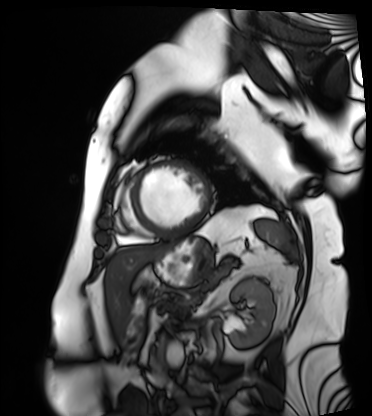
modality: cardiac MRI, subject group: patient.